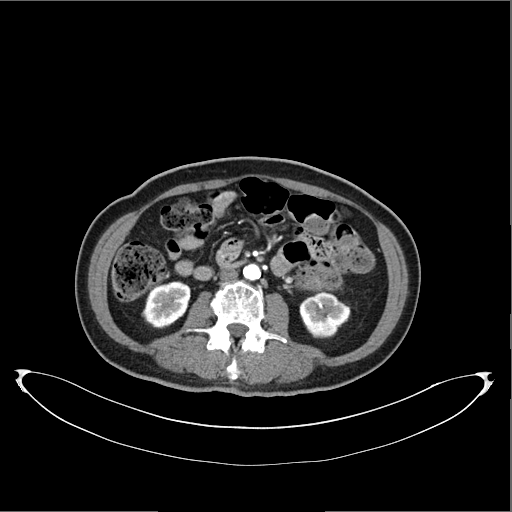
| field | value |
|---|---|
| modality | multiphase abdominal CT, liver, arterial phase |
| patient | female, age 60 |